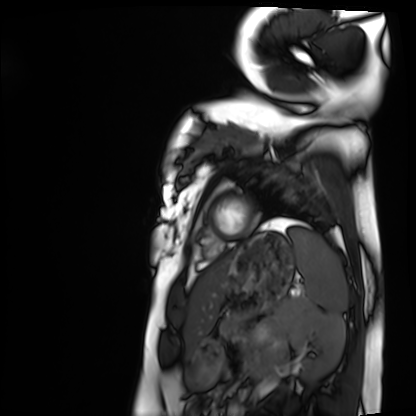
Cardiac MRI. Subject group: healthy volunteer.